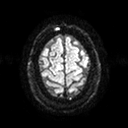
{
  "modality": {
    "type": "brain MRI",
    "field_strength": "3T"
  },
  "series": "diffusion tensor imaging (medium iso)",
  "study_topic": "ring-enhancing brain masses"
}